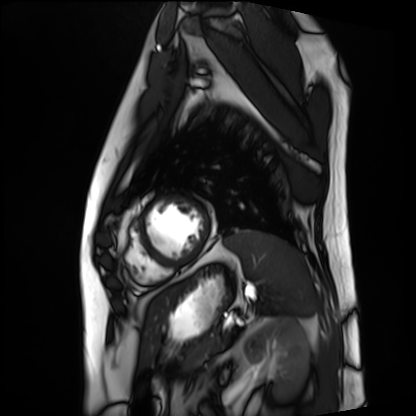
modality: cardiac MRI
cohort: patient